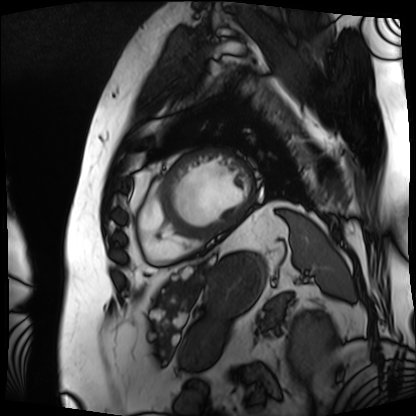
Cardiac MRI.
Subject group: patient.